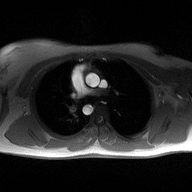
Q: What kind of scan is this?
A: 2D phase-contrast cine MRI of the ascending aorta.